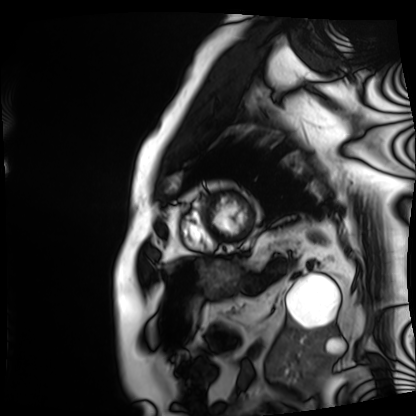
Cardiac MRI. Subject group: patient.